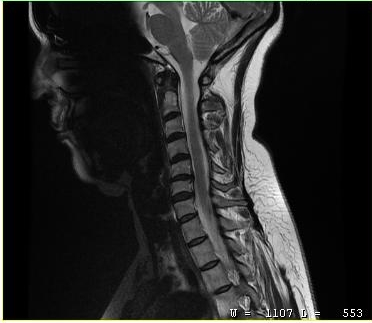
MRI of the cervical spine. Study: cervical spondylosis.